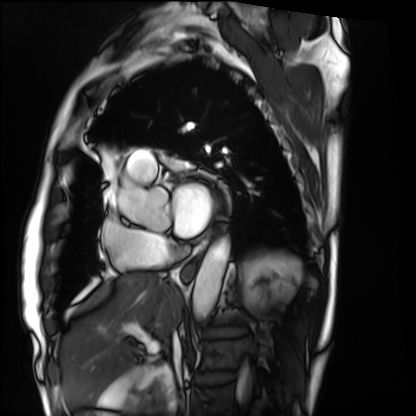
Case:
• modality: cardiac MRI
• subject group: patient